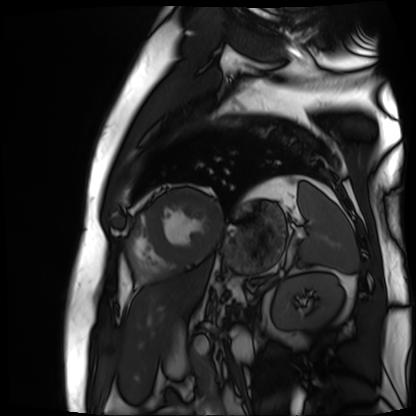
Cardiac MR image of the myocardium. Subject cohort: cardiac patient.